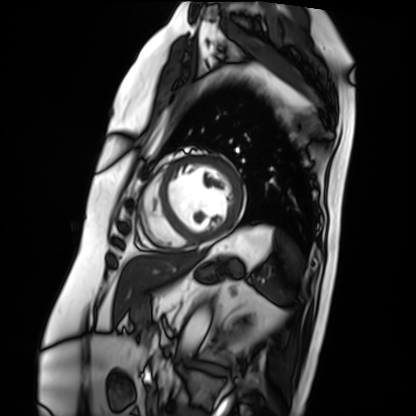
<case>
<modality>cardiac MRI</modality>
<cohort>patient</cohort>
</case>